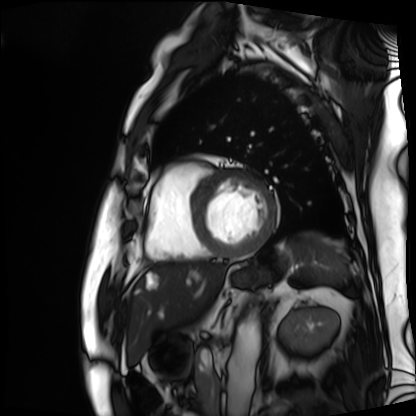
{
  "modality": "cardiac MRI",
  "cohort": "patient"
}